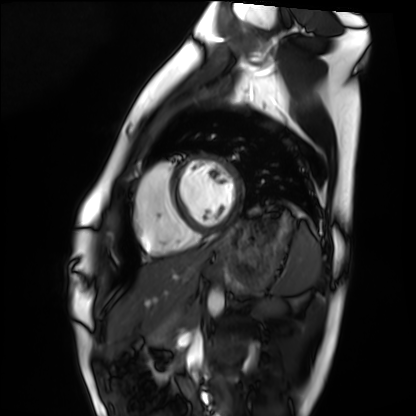
modality = cardiac MRI, subject group = healthy volunteer.